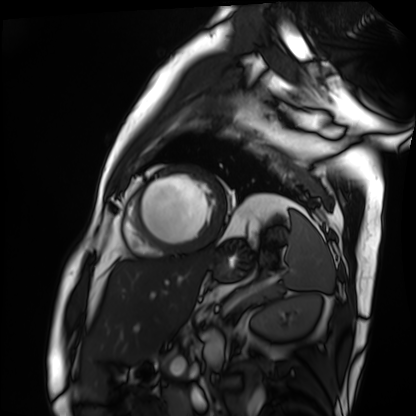
Case summary:
Cardiac MRI. Subject group: patient.